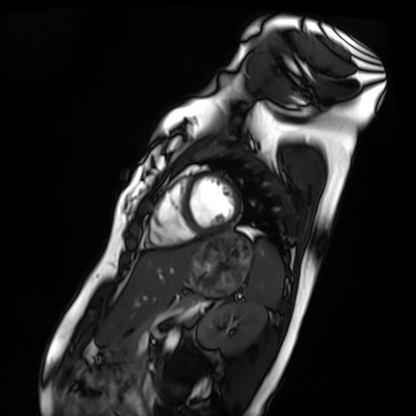
modality: cardiac MRI
cohort: healthy volunteer